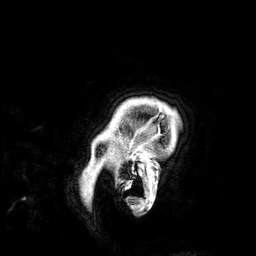
<record>
  <modality>
    <type>brain MRI</type>
    <field_strength>3T</field_strength>
  </modality>
  <series>3D T1-weighted</series>
  <study_topic>ring-enhancing brain masses</study_topic>
</record>